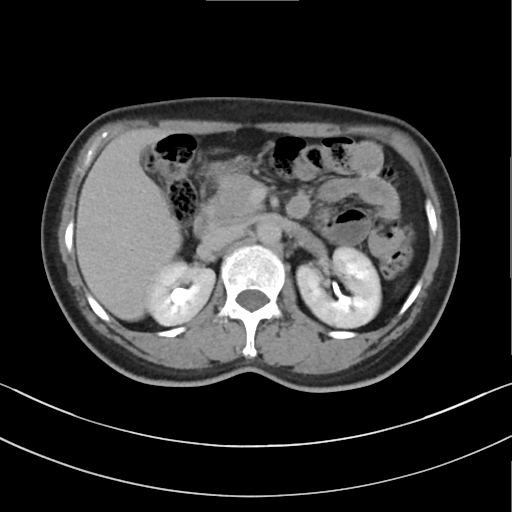
<study>
  <modality>
    <type>multiphase abdominal CT</type>
    <region>liver</region>
    <phase>delayed</phase>
  </modality>
  <patient>
    <sex>female</sex>
    <age>56</age>
  </patient>
</study>